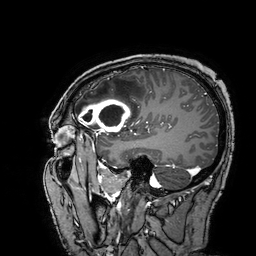
Case:
* modality — 3 Tesla brain MRI
* series — 3D T1-weighted turbo field echo with SENSE
* study — ring-enhancing brain masses